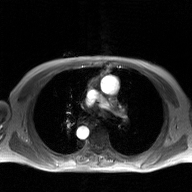
Clinical context: 2D phase-contrast cine MRI of the ascending aorta, GAN super-resolution reconstruction.